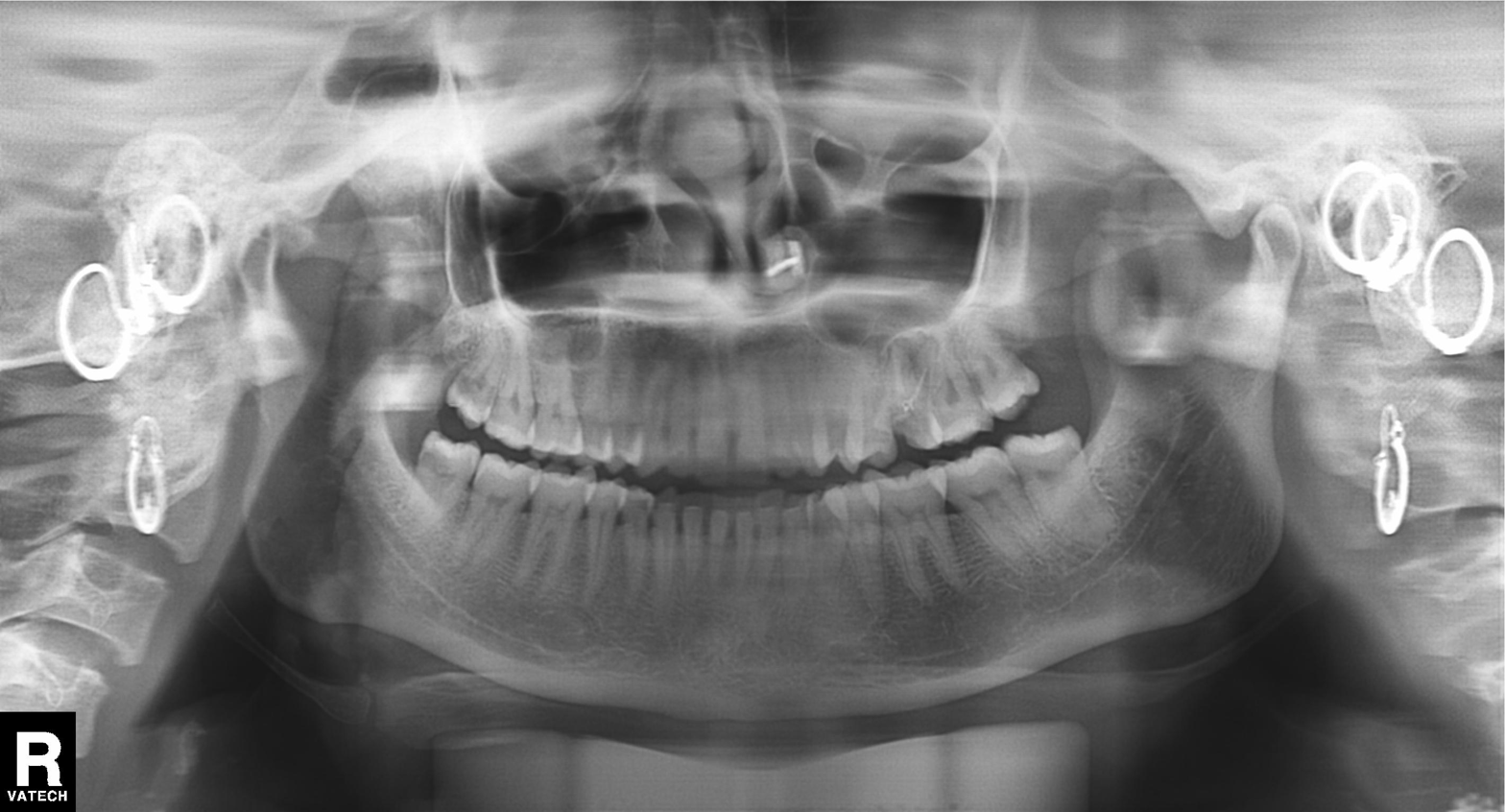
| feature | finding |
|---|---|
| modality | panoramic dental radiograph (orthopantomogram) |
| finding | alveolar bone loss |